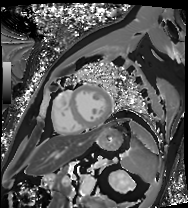
Cardiac MRI. Subject group: patient.